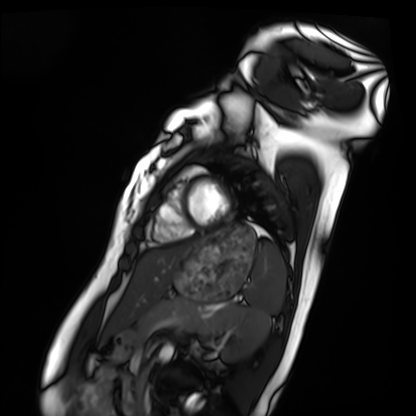
Q: What kind of scan is this?
A: Cardiac MRI.
Subject group: healthy volunteer.